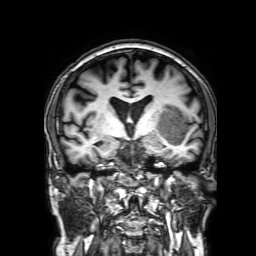
Summary:
3 Tesla brain MRI. Series: 3D T1-weighted with SENSE. Study: ring-enhancing brain masses.